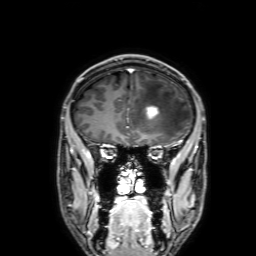
Case summary: 3 Tesla brain MRI. Series: 3D T1-weighted with SENSE. Study: ring-enhancing brain masses.